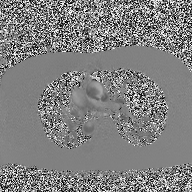
Summary: 2D phase-contrast cine MRI of the ascending aorta, high-resolution GRAPPA acquisition.